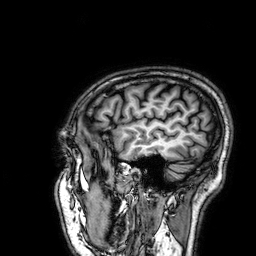
Clinical context: 3 Tesla brain MRI. Study: ring-enhancing brain masses.